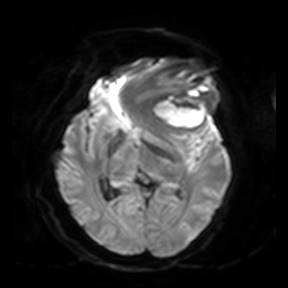
Summary: 3 Tesla brain MRI. Series: diffusion-weighted imaging. Study: ring-enhancing brain masses.